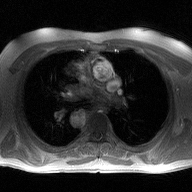
<scan>
  <modality>
    <type>2D phase-contrast cine MRI</type>
    <region>ascending aorta</region>
    <reconstruction>high-resolution GRAPPA acquisition</reconstruction>
  </modality>
</scan>